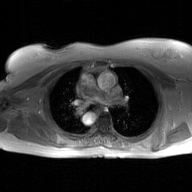
2D phase-contrast cine MRI of the ascending aorta, GAN super-resolution reconstruction.